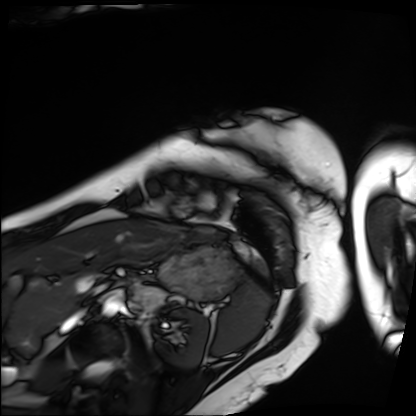
Summary: Cardiac MRI. Subject group: patient.